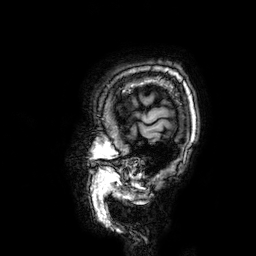
modality: 3 Tesla brain MRI | study: ring-enhancing brain masses.